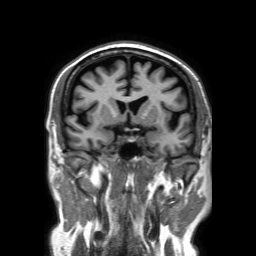
3 Tesla brain MRI.
Series: 3D T1-weighted TFE with SENSE.
Study: ring-enhancing brain masses.